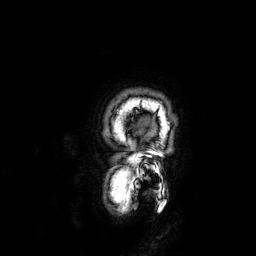
* modality: 3 Tesla brain MRI
* series: 3D T1-weighted
* study: ring-enhancing brain masses